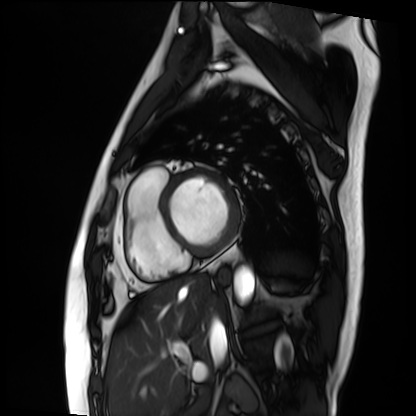
• modality — cardiac MRI
• subject group — patient